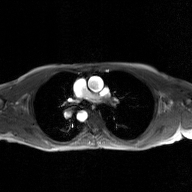
| field | value |
|---|---|
| modality | 2D phase-contrast cine MRI of the ascending aorta, GAN super-resolution reconstruction |